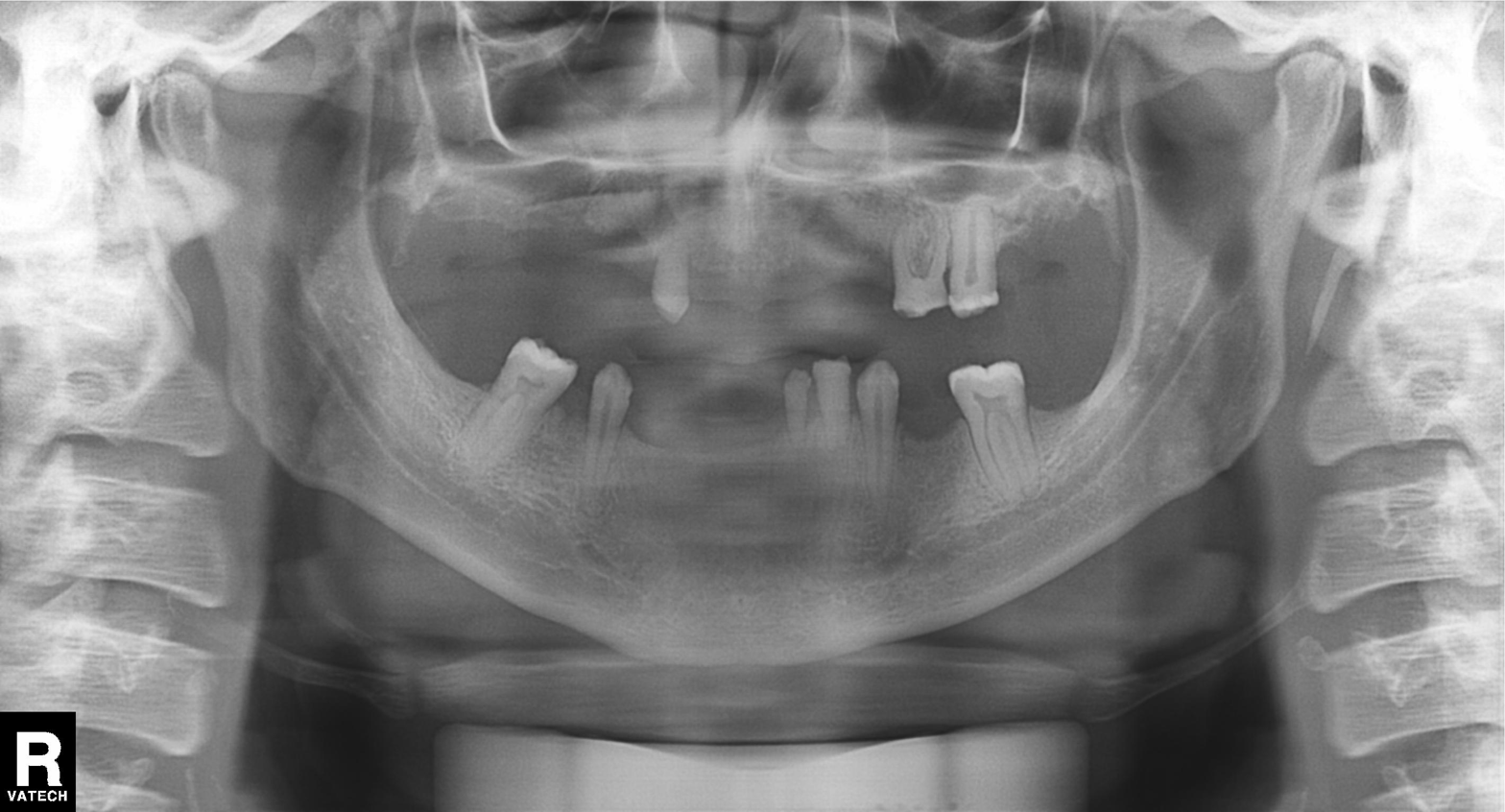
Clinical context:
Panoramic dental radiograph (orthopantomogram).
Impression:
Alveolar bone loss.